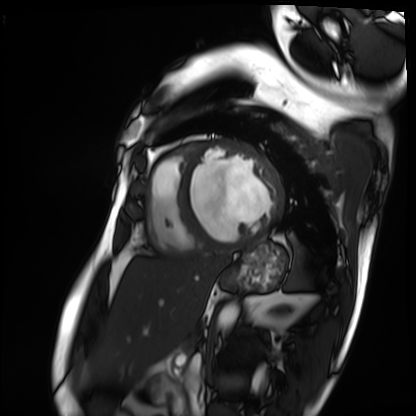
modality=cardiac MRI; subject group=patient.